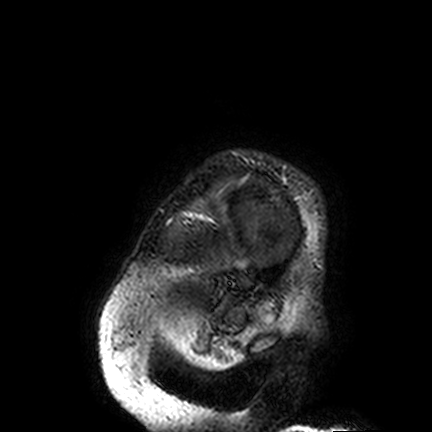
3 Tesla brain MRI.
Study: ring-enhancing brain masses.